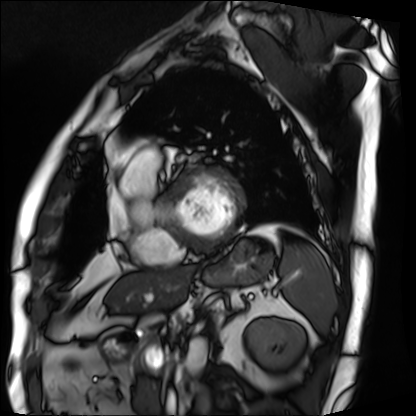
Case summary:
Cardiac MRI. Subject group: patient.